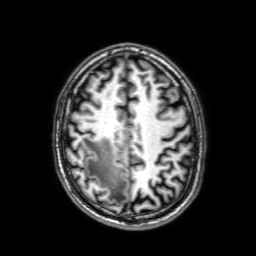
Summary:
3 Tesla brain MRI. Series: 3D T1-weighted with SENSE. Study: ring-enhancing brain masses.